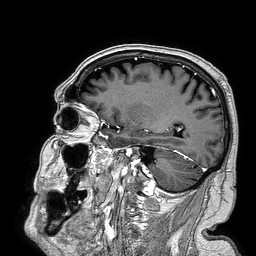
- modality — 3 Tesla brain MRI
- series — 3D T1-weighted turbo field echo
- study — ring-enhancing brain masses